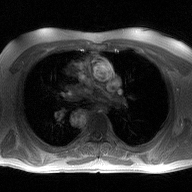
2D phase-contrast cine MRI of the ascending aorta, high-resolution GRAPPA acquisition.